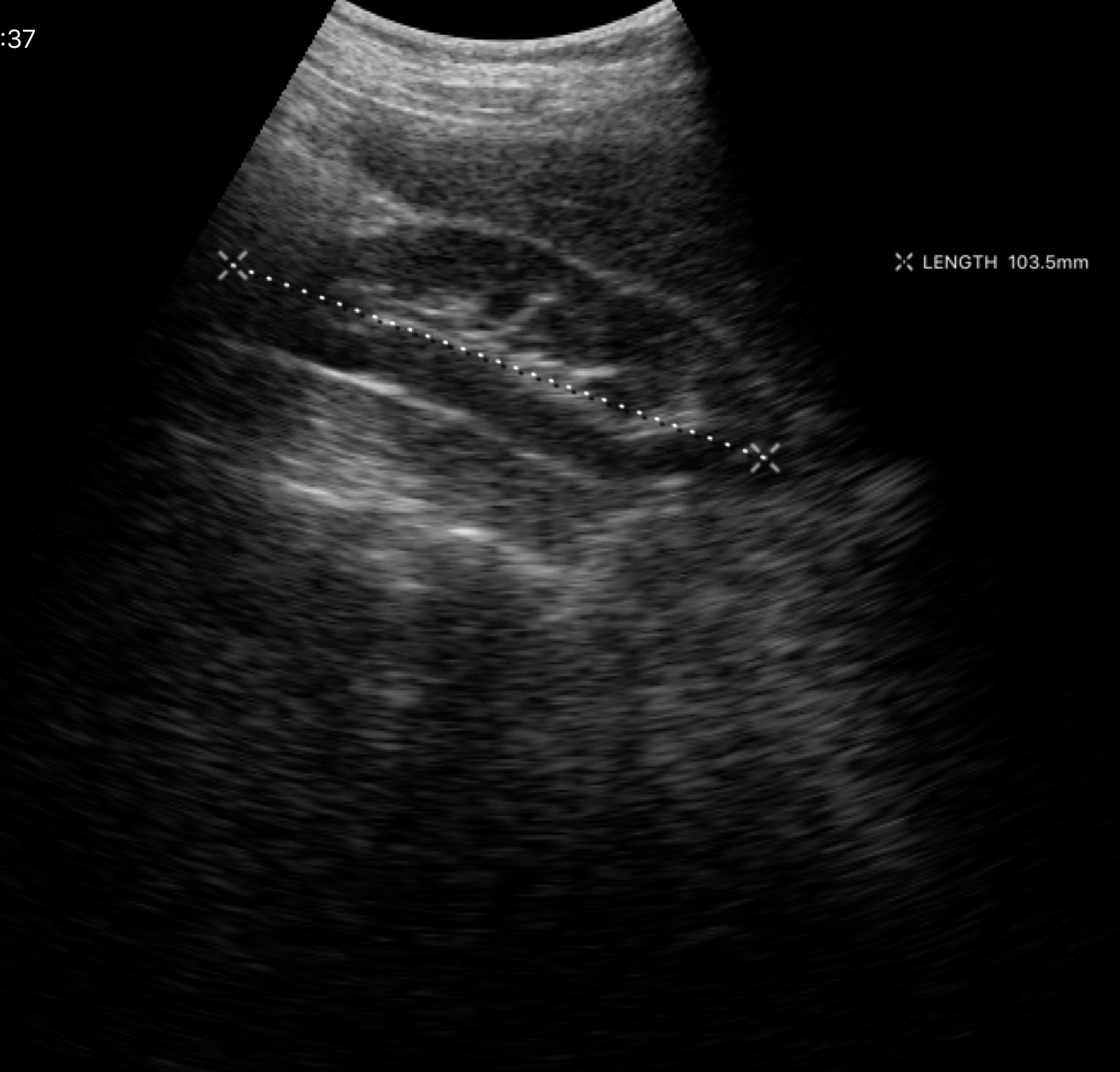
Case:
– modality: genitourinary ultrasound